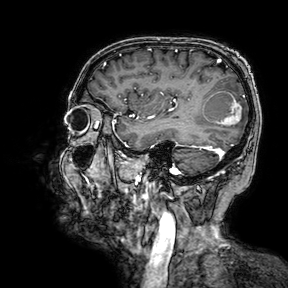
{"modality": {"type": "brain MRI", "field_strength": "3T"}, "series": "3D T1-weighted turbo field echo with SENSE", "study_topic": "ring-enhancing brain masses"}